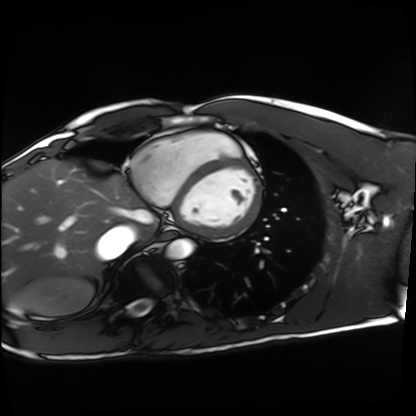
- modality · cardiac MRI
- subject group · healthy volunteer